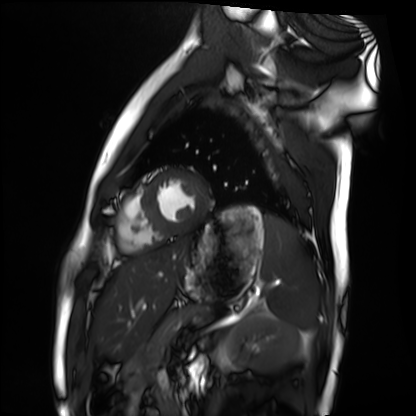
  modality: cardiac MRI
  cohort: healthy volunteer